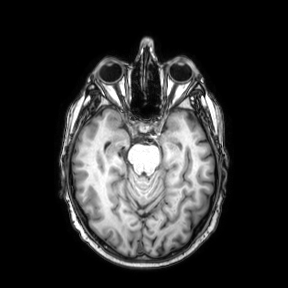
<study>
  <modality>
    <type>brain MRI</type>
    <field_strength>3T</field_strength>
  </modality>
  <series>axial</series>
  <study_topic>ring-enhancing brain masses</study_topic>
</study>